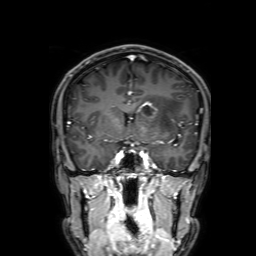
modality — 3 Tesla brain MRI; series — 3D T1-weighted with SENSE; study — ring-enhancing brain masses.